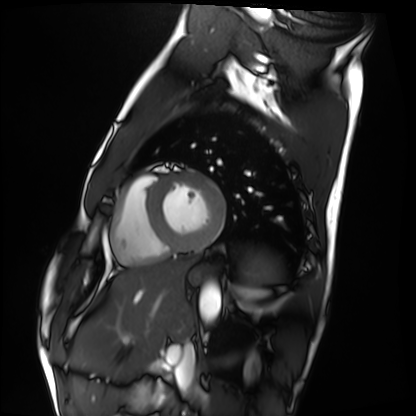
modality = cardiac MRI; subject group = healthy volunteer.